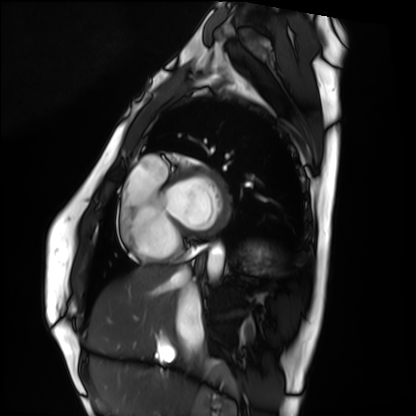
Cardiac MRI.
Subject group: healthy volunteer.